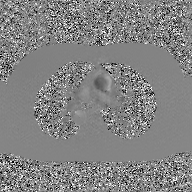
modality: 2D phase-contrast cine MRI of the ascending aorta, GAN super-resolution reconstruction.